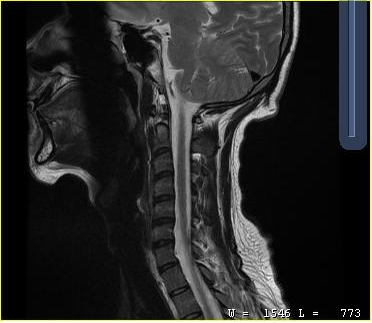
MRI of the cervical spine.
Study: cervical spondylosis.